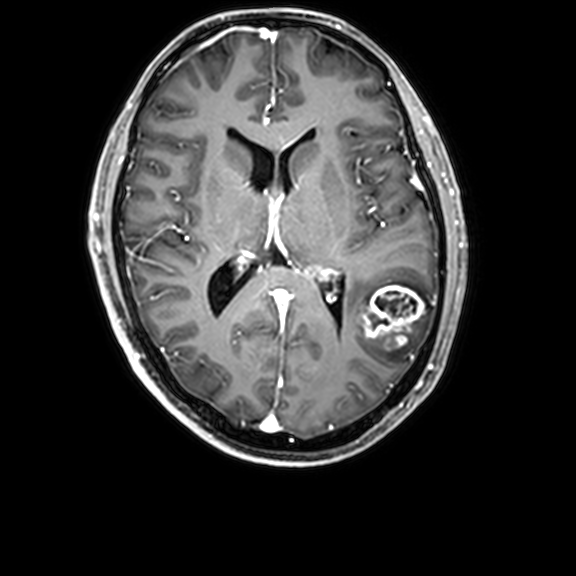
Q: What kind of scan is this?
A: 3 Tesla brain MRI.
Q: Series?
A: 3D T1-weighted with CLEAR.
Study: ring-enhancing brain masses.